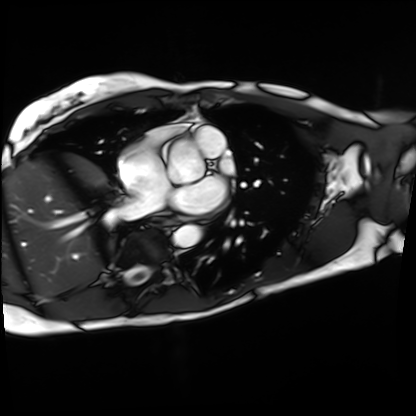
Cardiac MRI. Subject group: patient.